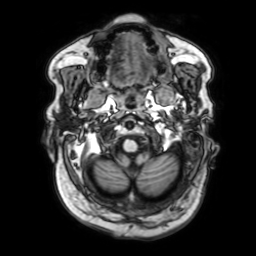
<study>
<modality>
  <type>brain MRI</type>
  <field_strength>3T</field_strength>
</modality>
<series>3D T1-weighted with SENSE</series>
<study_topic>ring-enhancing brain masses</study_topic>
</study>